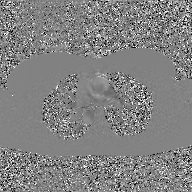
Summary:
2D phase-contrast cine MRI of the ascending aorta, GAN super-resolution reconstruction.